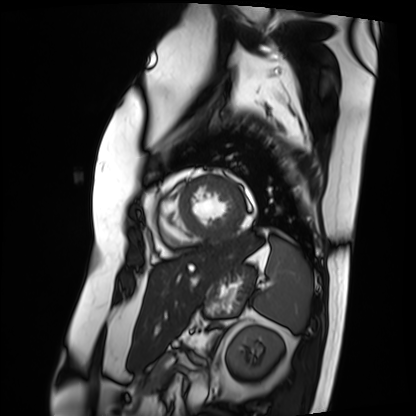
{
  "modality": "cardiac MRI",
  "cohort": "patient"
}